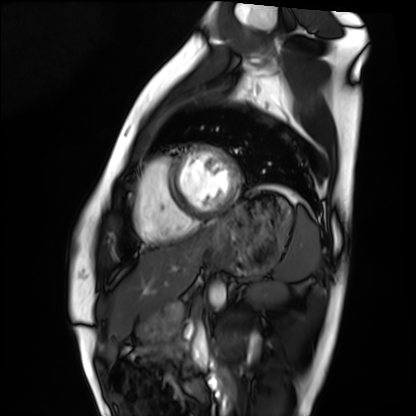
Summary:
Cardiac MRI. Subject group: healthy volunteer.